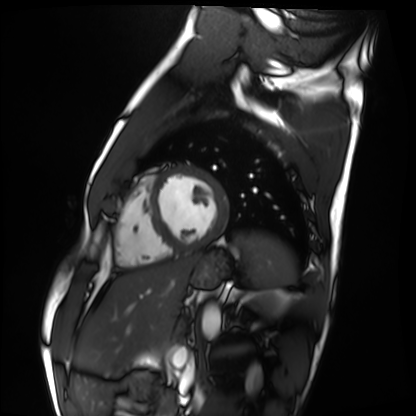
- modality: cardiac MRI
- subject group: healthy volunteer